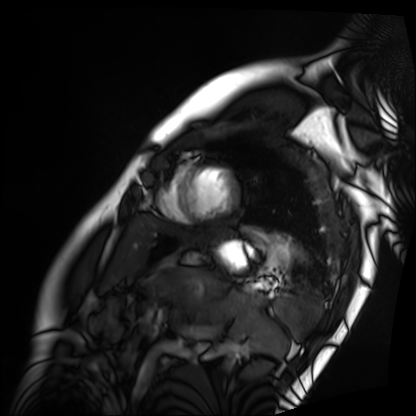
Cardiac MRI. Subject group: patient.